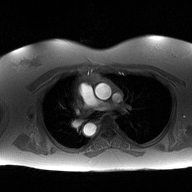
{"modality": {"type": "2D phase-contrast cine MRI", "region": "ascending aorta", "reconstruction": "high-resolution GRAPPA acquisition"}}